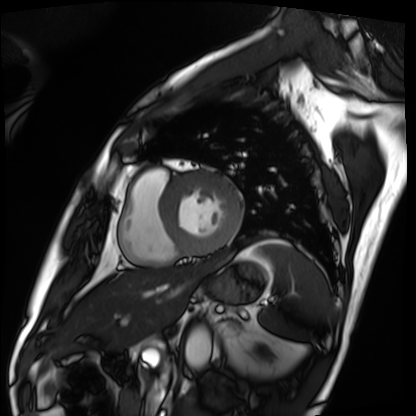
Q: What kind of scan is this?
A: Cardiac MRI.
Subject group: patient.